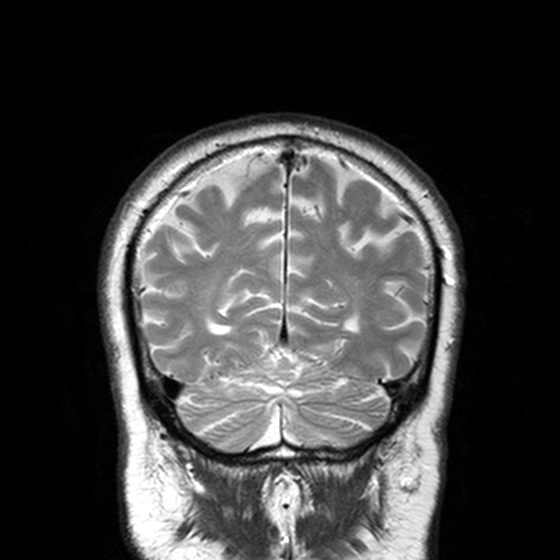
<case>
<modality>
  <type>brain MRI</type>
  <field_strength>3T</field_strength>
</modality>
<series>T2-weighted turbo spin echo, 3 mm</series>
<study_topic>ring-enhancing brain masses</study_topic>
</case>